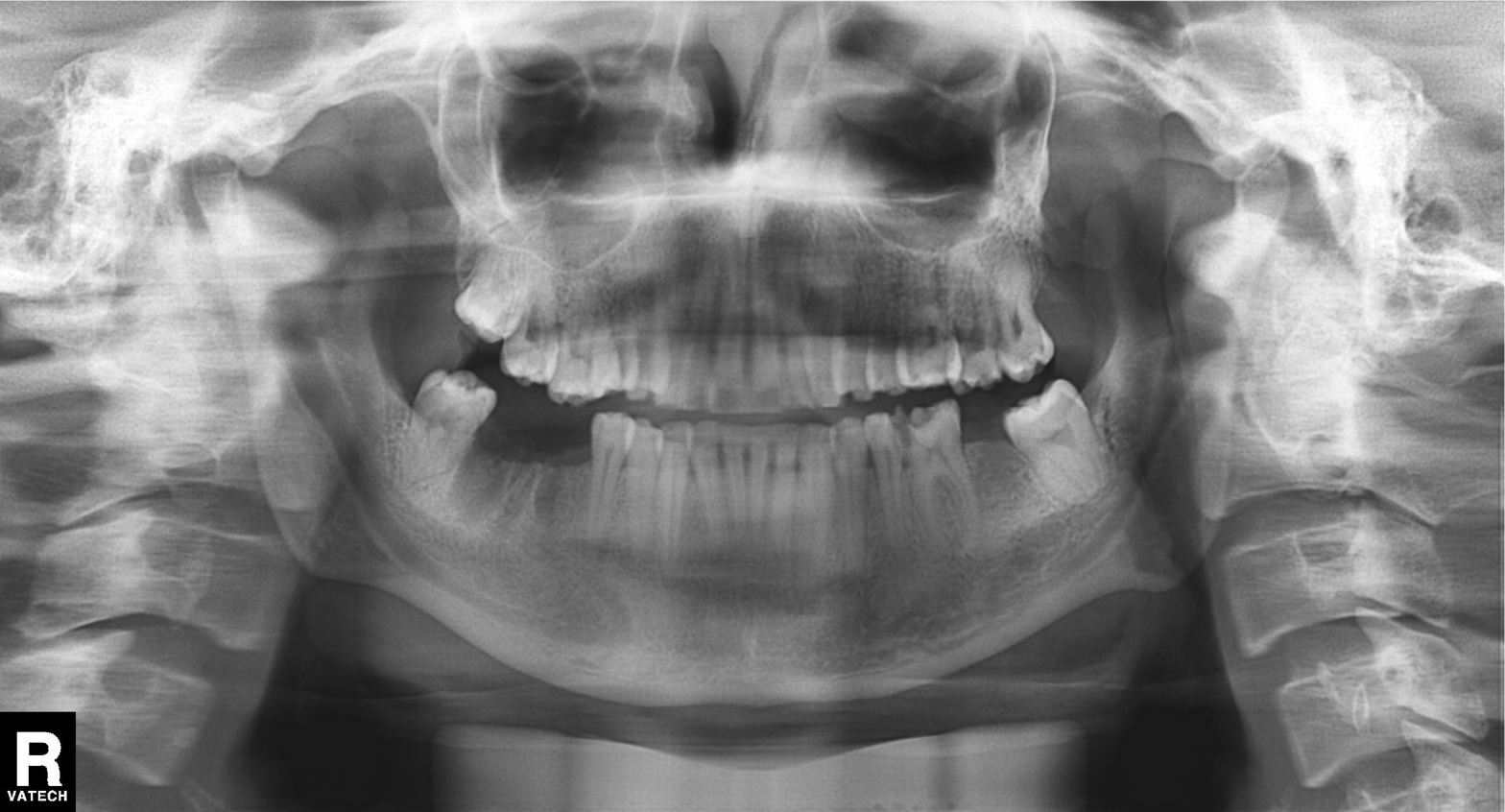
Summary: Panoramic dental radiograph (orthopantomogram).
Assessment: Alveolar bone loss.